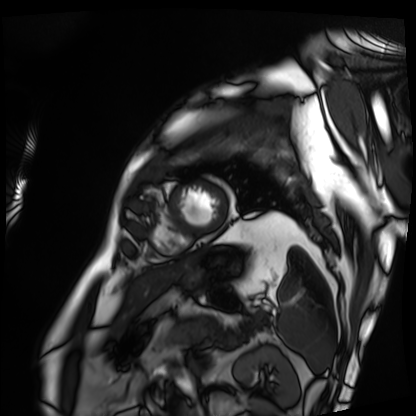
Summary: Cardiac MRI. Subject group: patient.